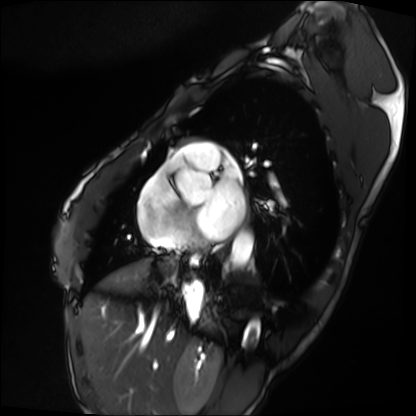
modality = cardiac MRI; subject group = patient.